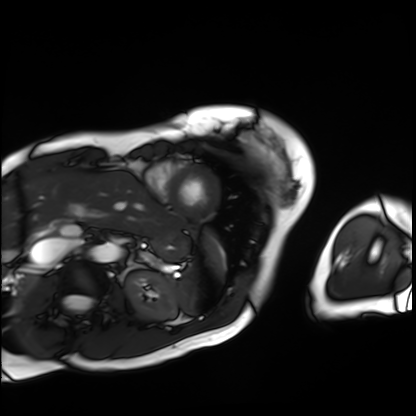
* modality: cardiac MRI
* subject group: patient